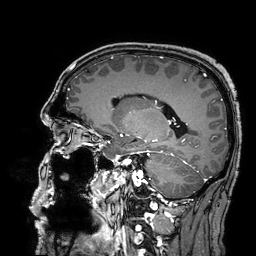
<record>
  <modality>
    <type>brain MRI</type>
    <field_strength>3T</field_strength>
  </modality>
  <study_topic>ring-enhancing brain masses</study_topic>
</record>